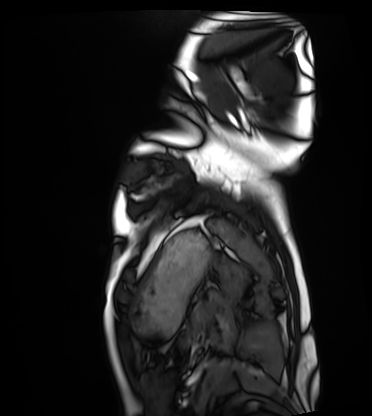
Summary:
Cardiac MRI. Subject group: healthy volunteer.